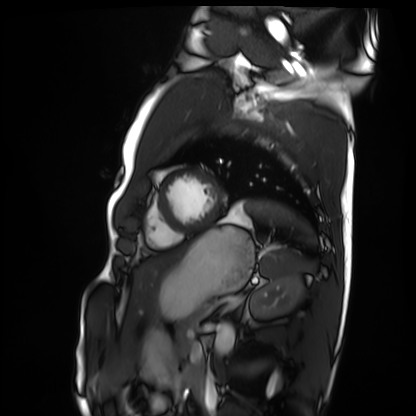
Cardiac MRI.
Subject group: healthy volunteer.